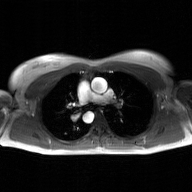
2D phase-contrast cine MRI of the ascending aorta, GAN super-resolution reconstruction.